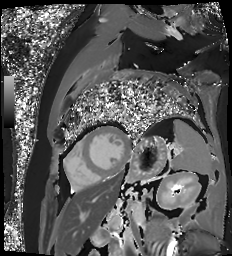
modality: cardiac MR image of the myocardium, subject cohort: cardiac patient.